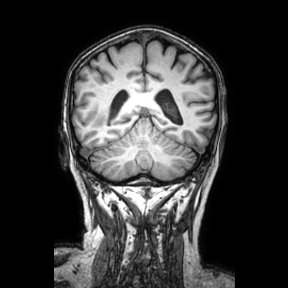
Case:
- modality: 3 Tesla brain MRI
- series: coronal
- study: ring-enhancing brain masses